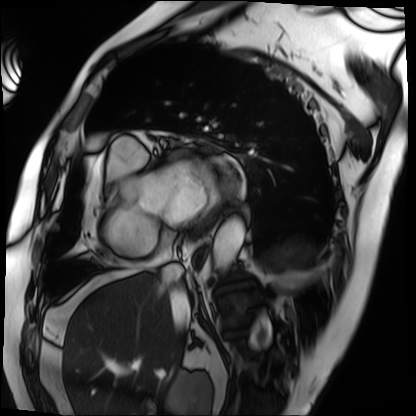
– modality · cardiac MRI
– subject group · patient